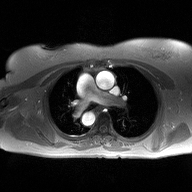
2D phase-contrast cine MRI of the ascending aorta, high-resolution GRAPPA acquisition.